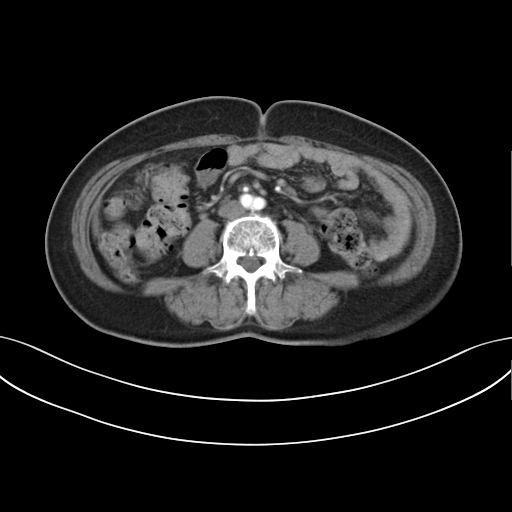
modality — multiphase abdominal CT, liver, arterial phase | patient — female, age 59.